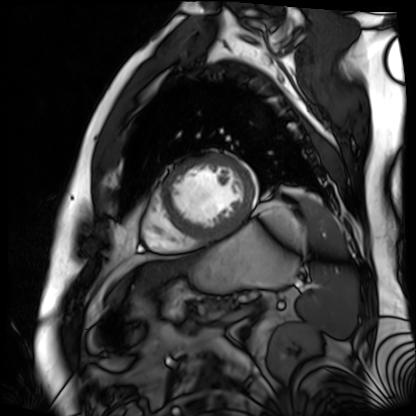
Summary: Cardiac MR image of the myocardium. Subject cohort: cardiac patient.